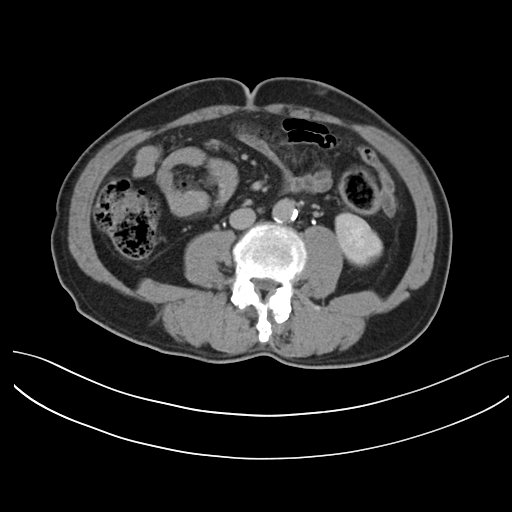
<record>
<modality>
  <type>multiphase abdominal CT</type>
  <region>liver</region>
  <phase>delayed</phase>
</modality>
<patient>
  <sex>male</sex>
  <age>61</age>
</patient>
<history>prior chemotherapy</history>
</record>